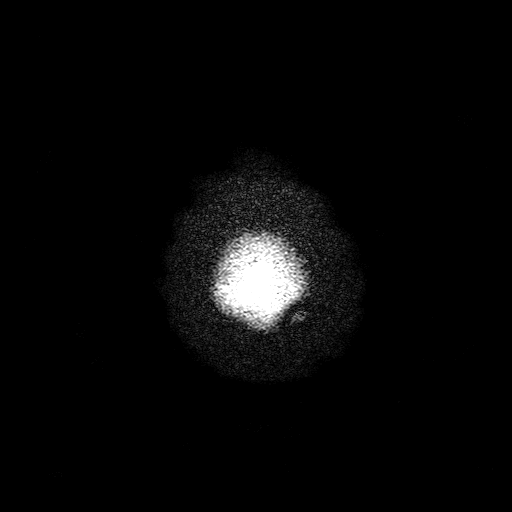
3 Tesla brain MRI.
Series: T2-weighted turbo spin echo with SENSE.
Study: ring-enhancing brain masses.